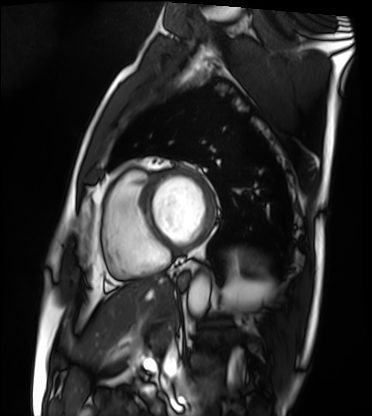
Cardiac MRI.
Subject group: patient.